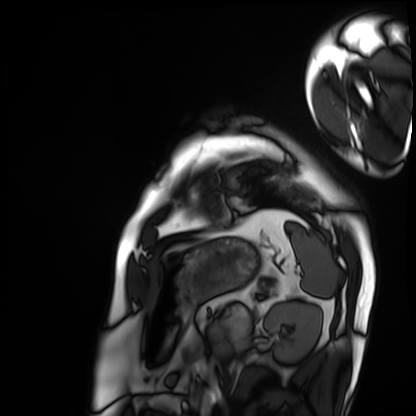
modality: cardiac MRI
cohort: patient